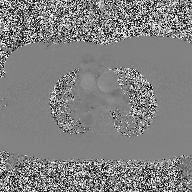
Case:
– modality: 2D phase-contrast cine MRI of the ascending aorta